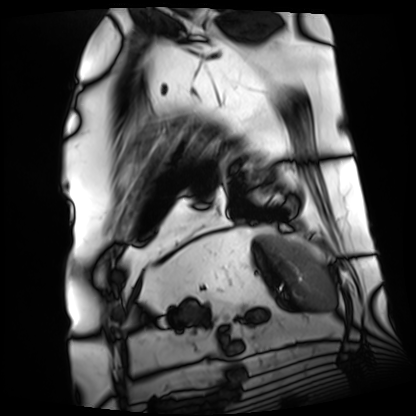
Cardiac MRI.
Subject group: patient.